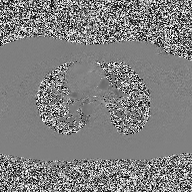
Q: What kind of scan is this?
A: 2D phase-contrast cine MRI of the ascending aorta.